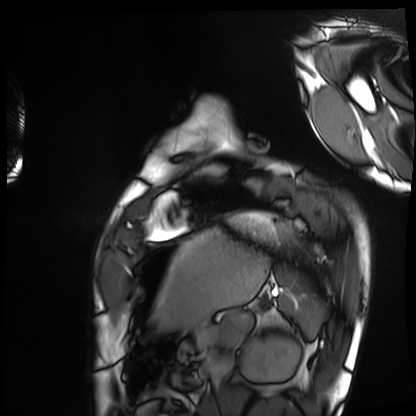
Cardiac MRI. Subject group: healthy volunteer.